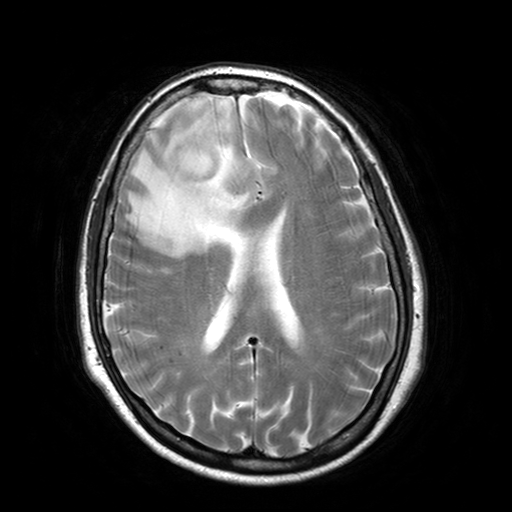
| field | value |
|---|---|
| modality | 3 Tesla brain MRI |
| series | T2-weighted turbo spin echo with SENSE |
| study | ring-enhancing brain masses |